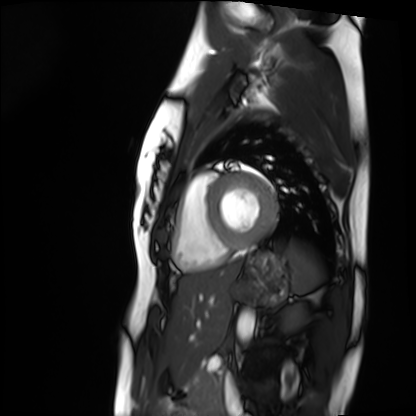
Summary: Cardiac MRI. Subject group: healthy volunteer.